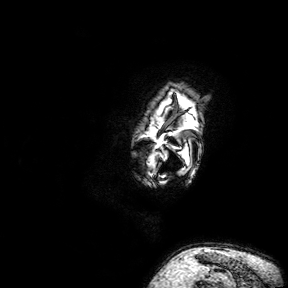
modality:
  type: brain MRI
  field_strength: 3T
series: 3D T1-weighted turbo field echo with SENSE
study_topic: ring-enhancing brain masses